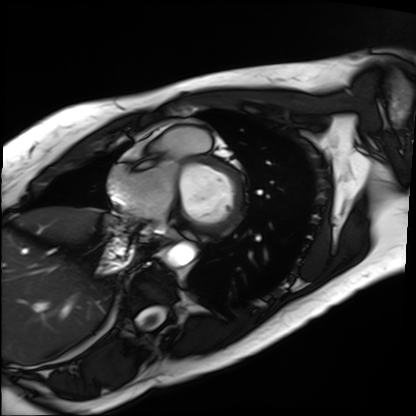
modality = cardiac MRI; subject group = patient.